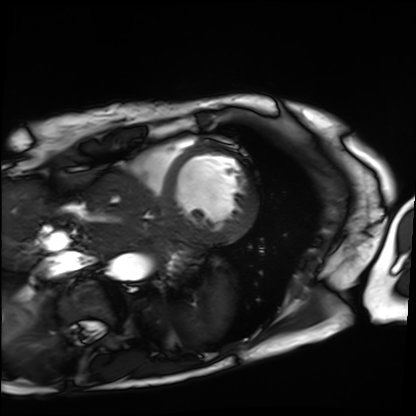
Cardiac MRI. Subject group: patient.